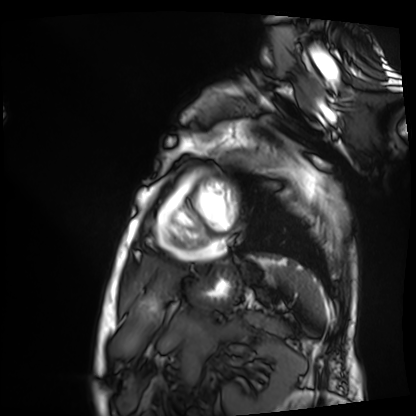
Case summary: Cardiac MRI. Subject group: patient.